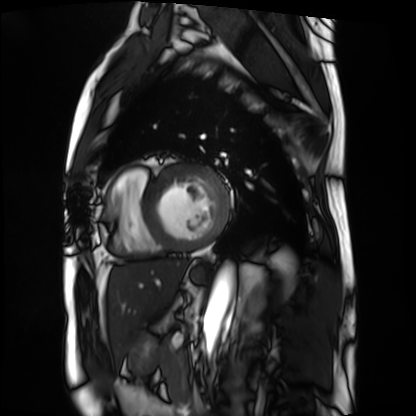
* modality — cardiac MRI
* subject group — patient